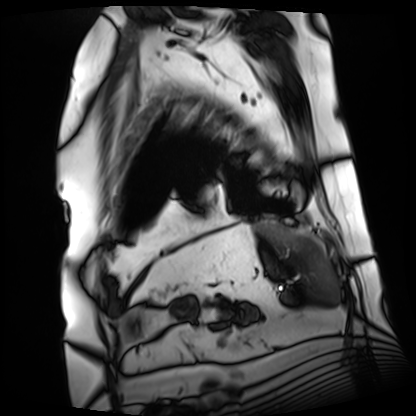
Cardiac MRI. Subject group: patient.